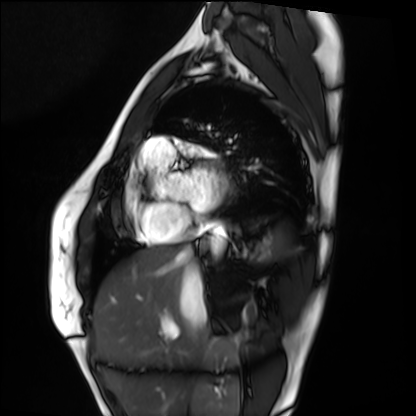
Cardiac MRI. Subject group: healthy volunteer.